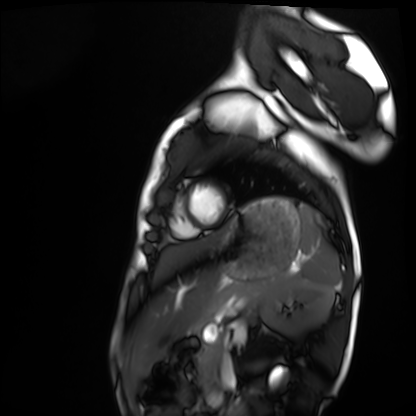
Cardiac MRI. Subject group: healthy volunteer.